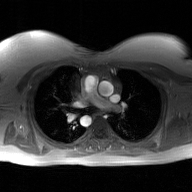
Q: What kind of scan is this?
A: 2D phase-contrast cine MRI of the ascending aorta, GAN super-resolution reconstruction.